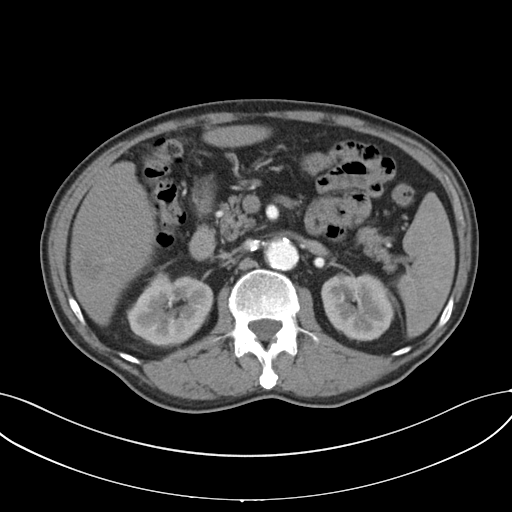
{
  "modality": {
    "type": "multiphase abdominal CT",
    "region": "liver",
    "phase": "arterial"
  },
  "patient": {
    "sex": "male",
    "age": 69
  }
}